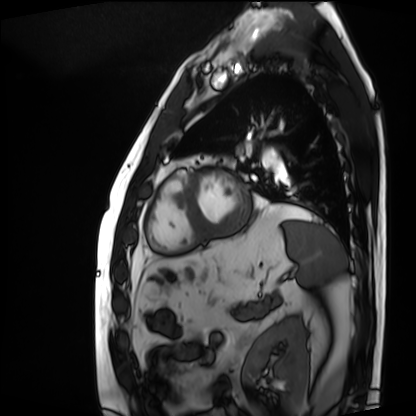
Cardiac MRI. Subject group: patient.